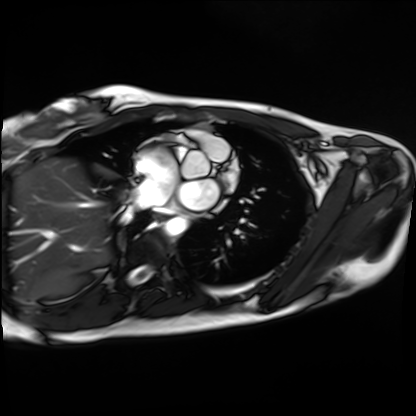
Summary:
Cardiac MRI. Subject group: healthy volunteer.